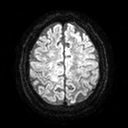
modality=3 Tesla brain MRI; series=diffusion tensor imaging (medium iso); study=ring-enhancing brain masses.